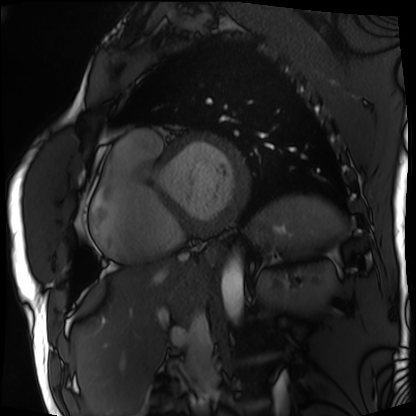
Cardiac MRI. Subject group: patient.